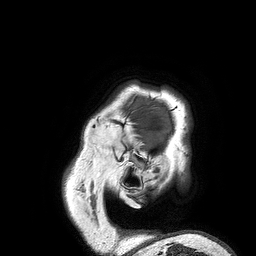
3 Tesla brain MRI. Series: 3D T1-weighted turbo field echo. Study: ring-enhancing brain masses.